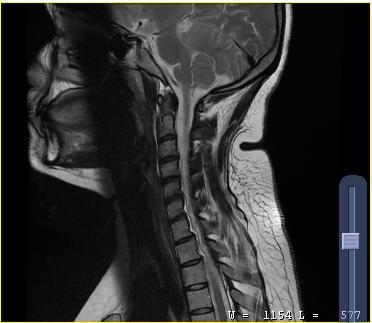
* modality: MRI of the cervical spine
* study: cervical spondylosis